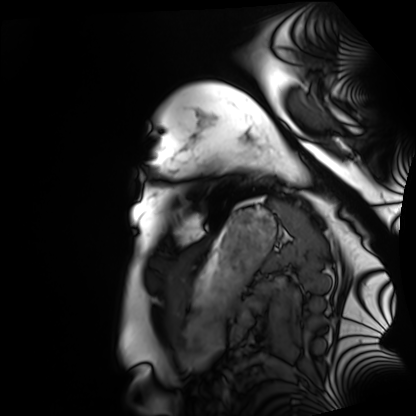
Cardiac MRI. Subject group: healthy volunteer.